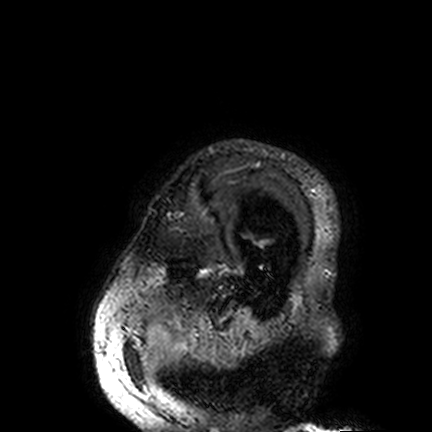
3 Tesla brain MRI. Series: FLAIR VISTA. Study: ring-enhancing brain masses.